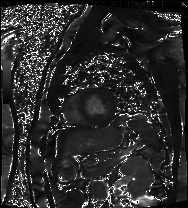
modality = cardiac MRI
subject group = patient